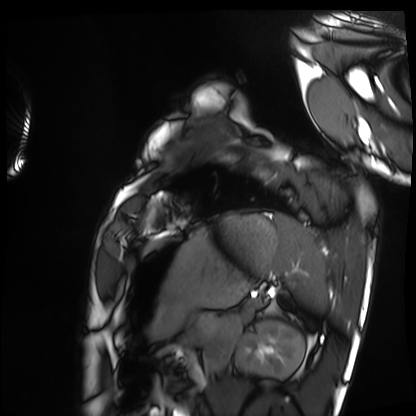
Case:
- modality · cardiac MRI
- subject group · healthy volunteer